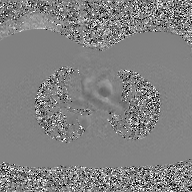
  modality:
    type: 2D phase-contrast cine MRI
    region: ascending aorta
    reconstruction: GAN super-resolution reconstruction